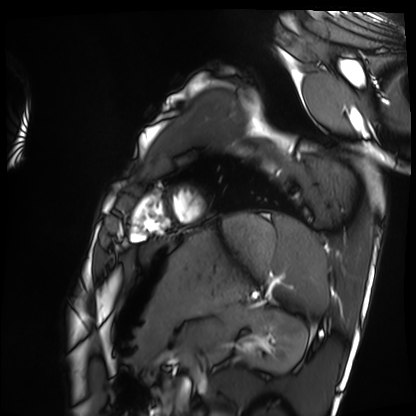
Cardiac MRI. Subject group: healthy volunteer.